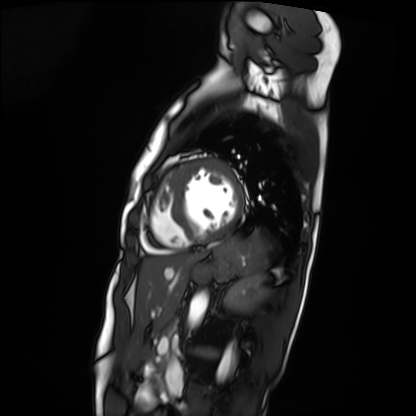
modality = cardiac MRI | subject group = patient.